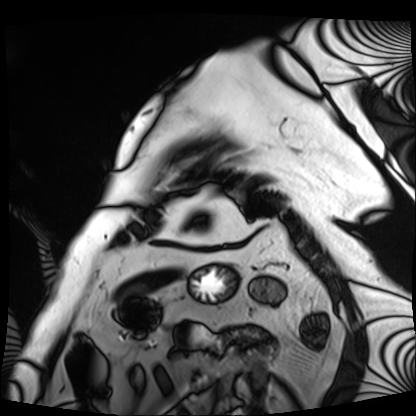
Cardiac MRI.
Subject group: patient.